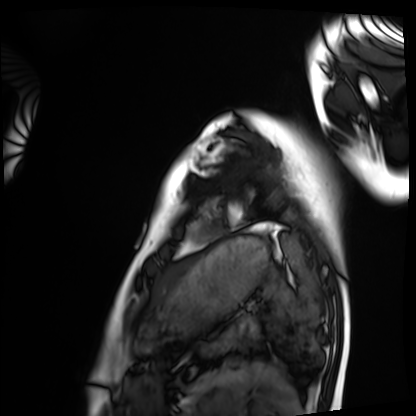
| field | value |
|---|---|
| modality | cardiac MRI |
| subject group | healthy volunteer |